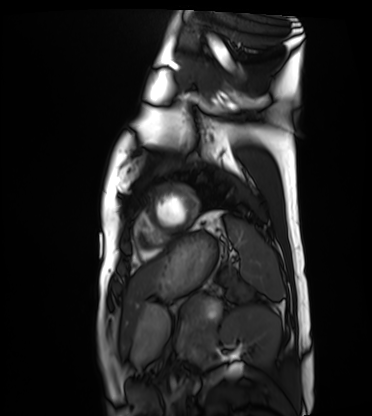
modality: cardiac MRI; subject group: healthy volunteer.